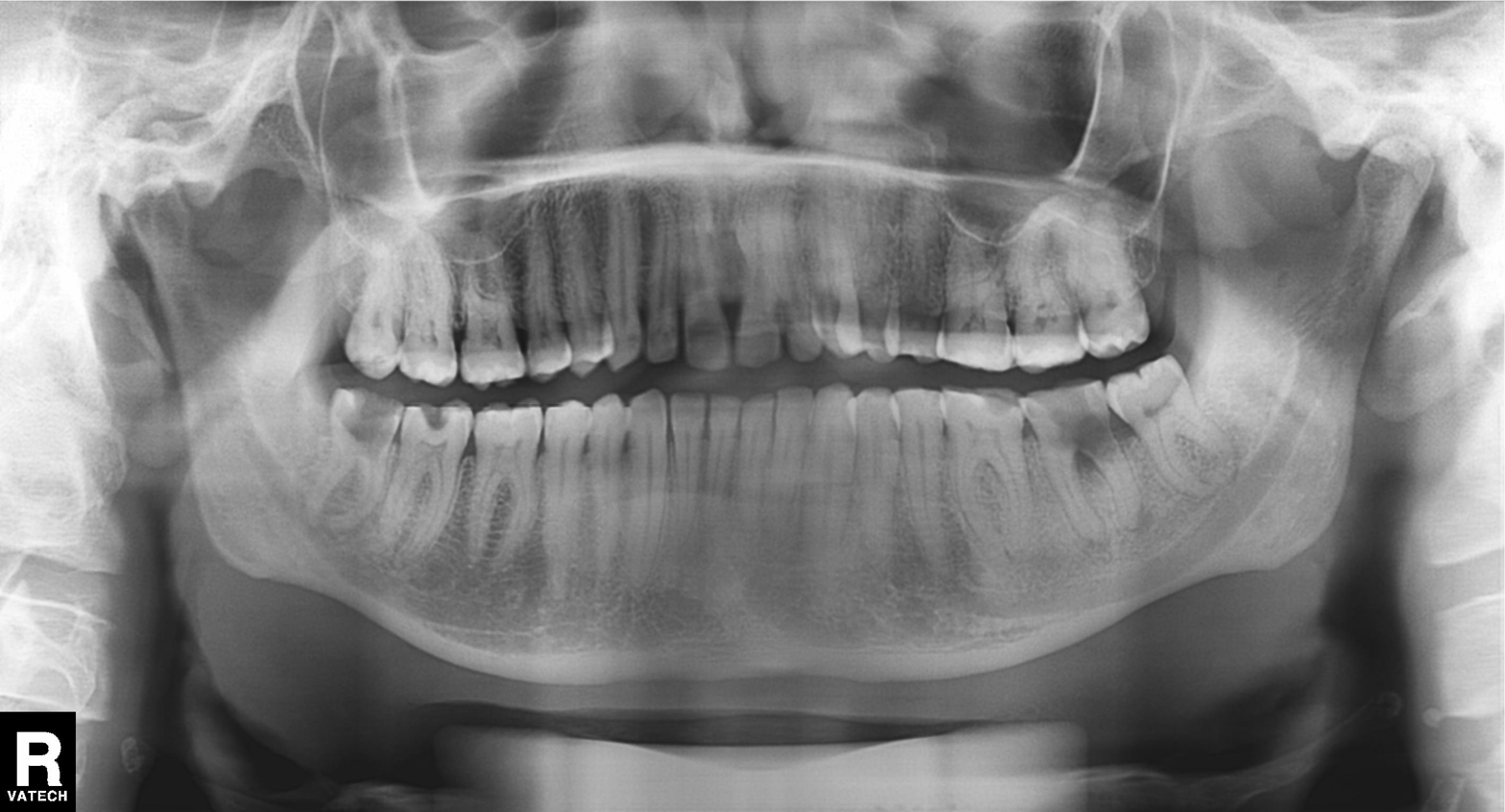
{
  "modality": "panoramic dental radiograph (orthopantomogram)",
  "finding": "alveolar bone loss"
}